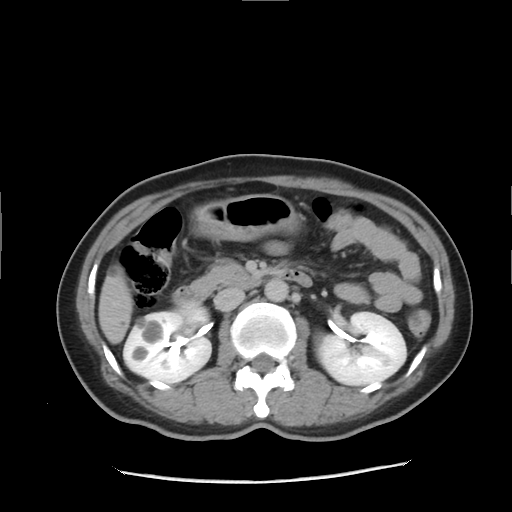
• modality · multiphase abdominal CT, liver, delayed phase
• patient · female, age 43